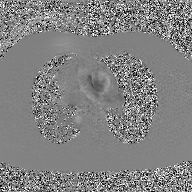
Clinical context:
2D phase-contrast cine MRI of the ascending aorta, GAN super-resolution reconstruction.